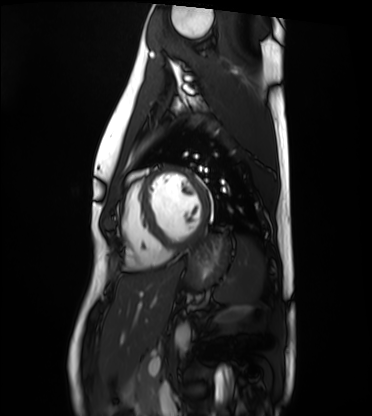
• modality — cardiac MRI
• subject group — healthy volunteer